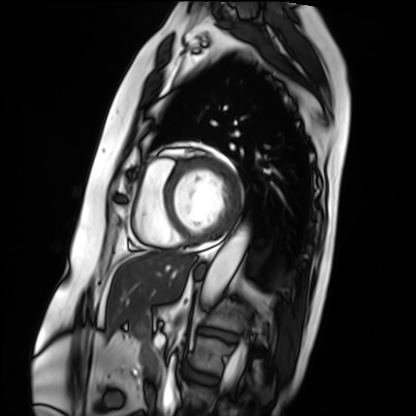
Summary: Cardiac MRI. Subject group: patient.